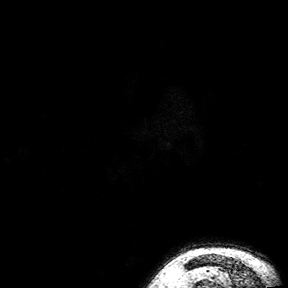
3 Tesla brain MRI.
Series: 3D T1-weighted turbo field echo with SENSE.
Study: ring-enhancing brain masses.